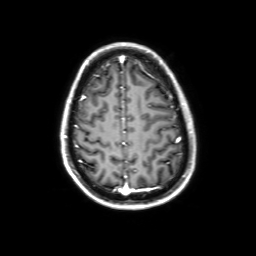
| field | value |
|---|---|
| modality | 3 Tesla brain MRI |
| series | 3D T1-weighted with SENSE |
| study | ring-enhancing brain masses |